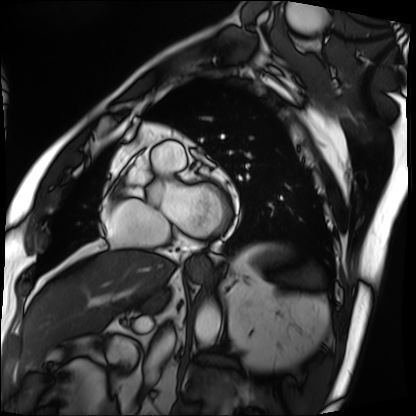
modality=cardiac MRI
subject group=patient